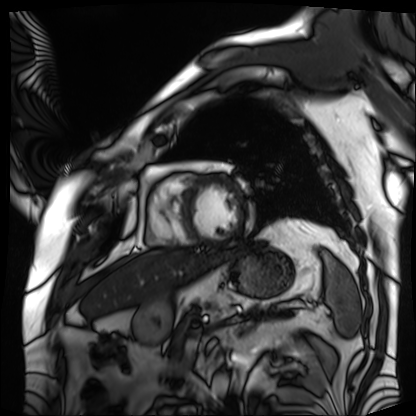
- modality: cardiac MRI
- subject group: patient